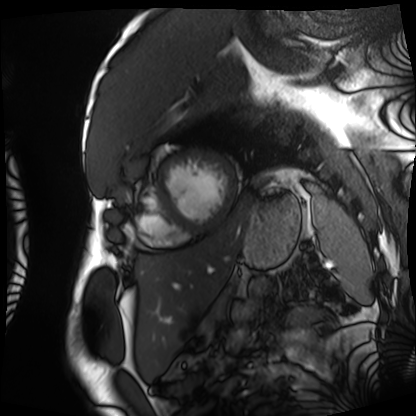
Q: What kind of scan is this?
A: Cardiac MRI.
Subject group: patient.